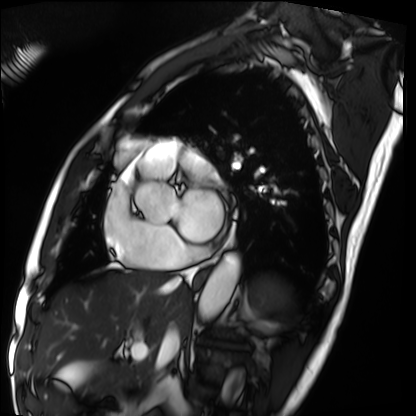
<study>
  <modality>cardiac MRI</modality>
  <cohort>patient</cohort>
</study>